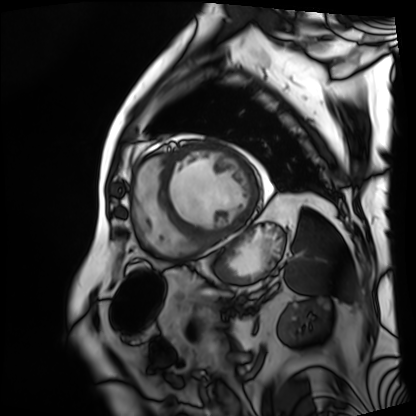
Cardiac MRI.
Subject group: patient.